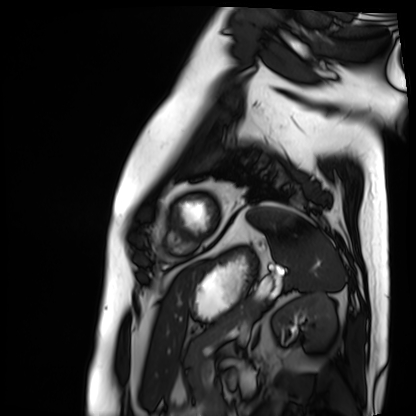
modality = cardiac MRI
subject group = patient